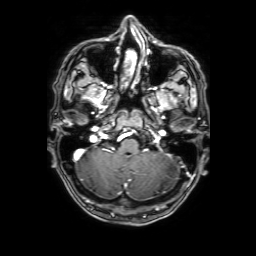
| field | value |
|---|---|
| modality | 3 Tesla brain MRI |
| series | 3D T1-weighted with SENSE |
| study | ring-enhancing brain masses |